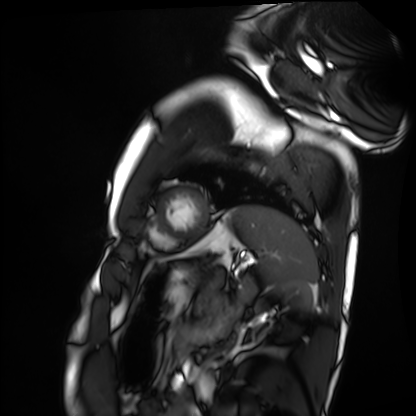
Summary:
Cardiac MRI. Subject group: healthy volunteer.